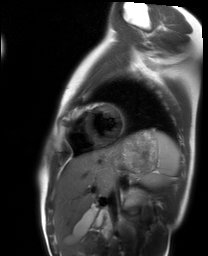
{
  "modality": "cardiac MRI",
  "cohort": "healthy volunteer"
}